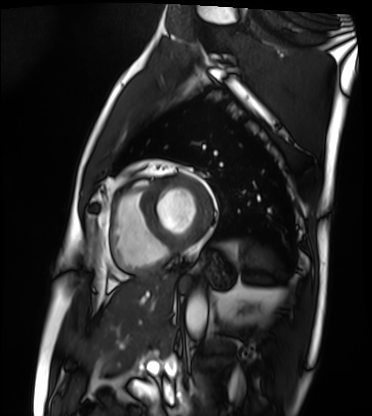
Case:
– modality — cardiac MRI
– subject group — patient